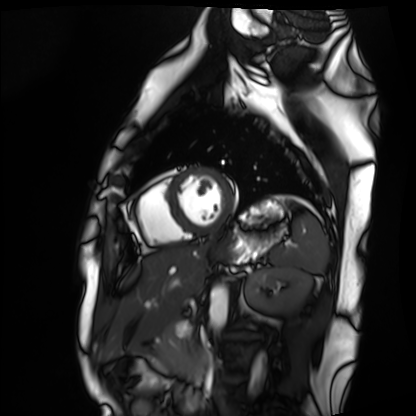
Q: What kind of scan is this?
A: Cardiac MRI.
Subject group: healthy volunteer.